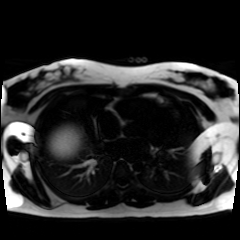
<record>
  <modality>chemical-shift-encoded cardiac MRI</modality>
</record>